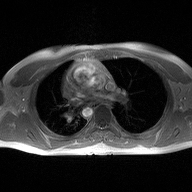
modality: 2D phase-contrast cine MRI of the ascending aorta.